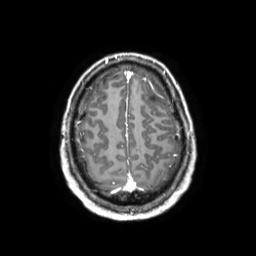
Clinical context: 3 Tesla brain MRI. Series: 3D T1-weighted TFE with SENSE. Study: ring-enhancing brain masses.